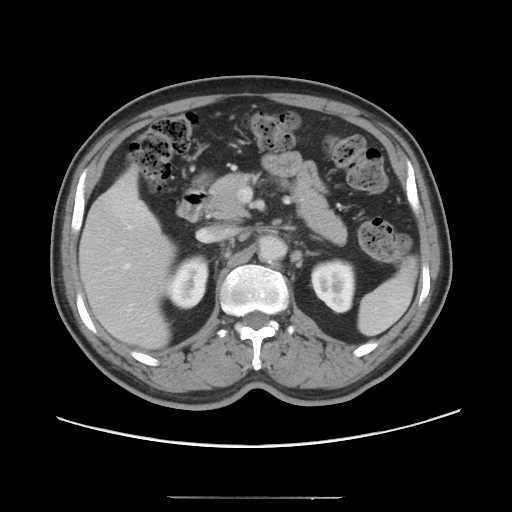
Case summary:
Multiphase abdominal CT, liver, portal venous phase.